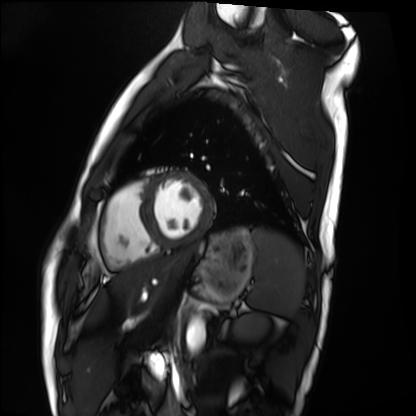
modality: cardiac MRI | subject group: healthy volunteer.